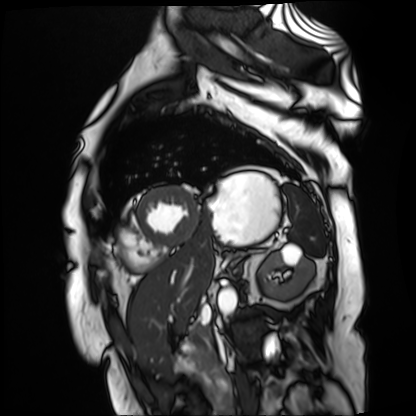
Clinical context: Cardiac MR image of the myocardium. Subject cohort: cardiac patient.